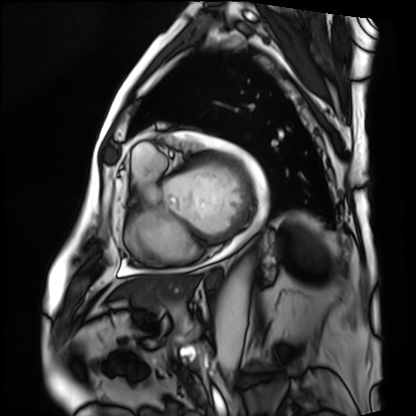
modality=cardiac MRI
subject group=patient